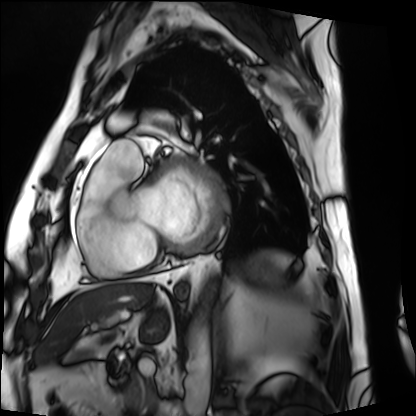
modality=cardiac MRI | subject group=patient.